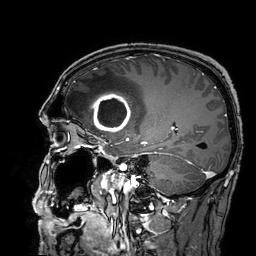
modality: 3 Tesla brain MRI; series: 3D T1-weighted turbo field echo with SENSE; study: ring-enhancing brain masses.